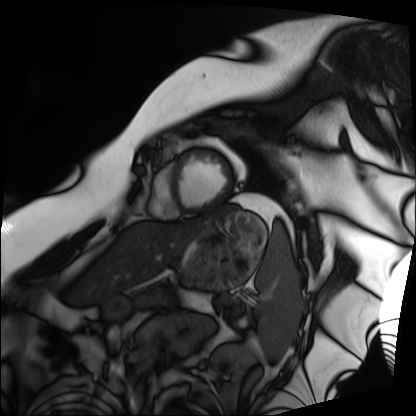
{"modality": "cardiac MRI", "cohort": "patient"}